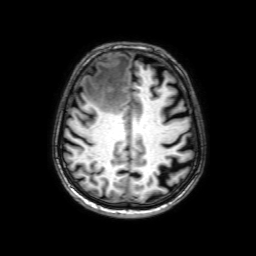
3 Tesla brain MRI. Series: 3D T1-weighted with SENSE. Study: ring-enhancing brain masses.